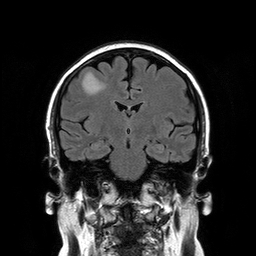
3 Tesla brain MRI.
Series: T2-weighted FLAIR.
Study: ring-enhancing brain masses.